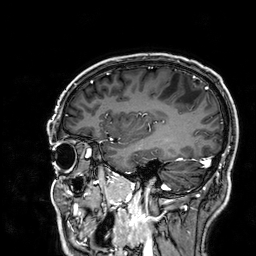
modality: 3 Tesla brain MRI
series: 3D T1-weighted
study: ring-enhancing brain masses